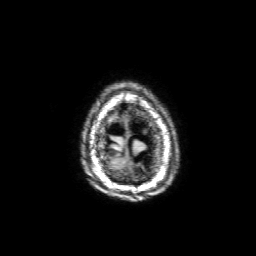
3 Tesla brain MRI. Series: 3D T1-weighted with SENSE. Study: ring-enhancing brain masses.